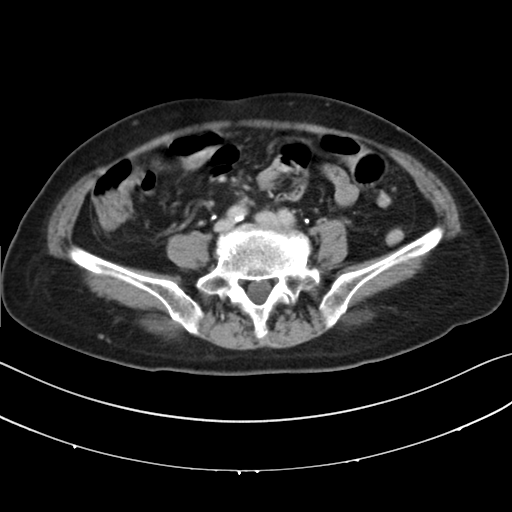
Q: What kind of scan is this?
A: Multiphase abdominal CT, liver, delayed phase.
Q: Patient?
A: Female, age 75.